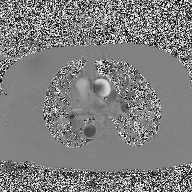
Summary:
2D phase-contrast cine MRI of the ascending aorta, high-resolution GRAPPA acquisition.